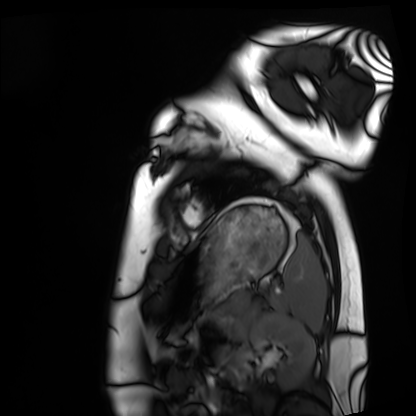
Q: What kind of scan is this?
A: Cardiac MRI.
Subject group: healthy volunteer.